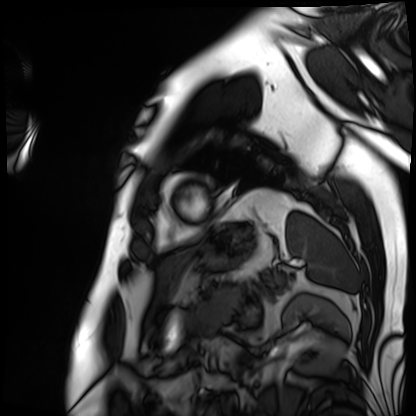
| field | value |
|---|---|
| modality | cardiac MRI |
| subject group | patient |